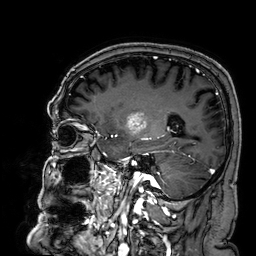
modality = 3 Tesla brain MRI | study = ring-enhancing brain masses.